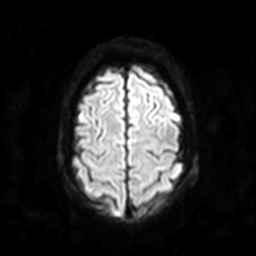
modality = 3 Tesla brain MRI | series = diffusion-weighted imaging | study = ring-enhancing brain masses.